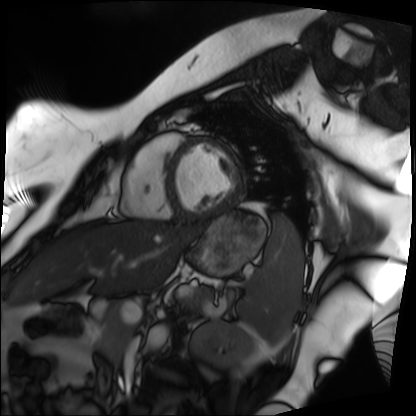
Summary: Cardiac MRI. Subject group: patient.